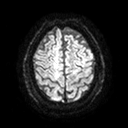
3 Tesla brain MRI.
Series: diffusion tensor imaging (medium iso).
Study: ring-enhancing brain masses.